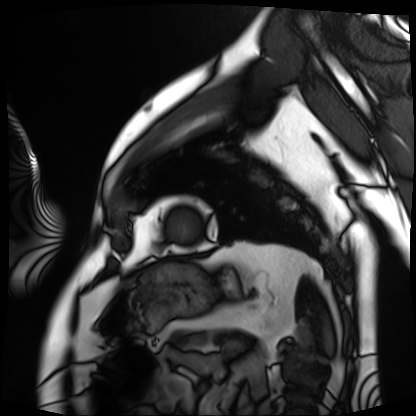
Case summary:
Cardiac MRI. Subject group: patient.